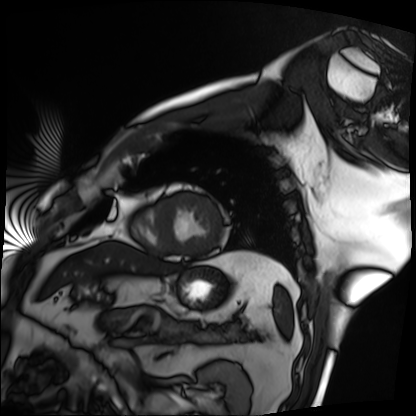
modality: cardiac MRI | subject group: patient.